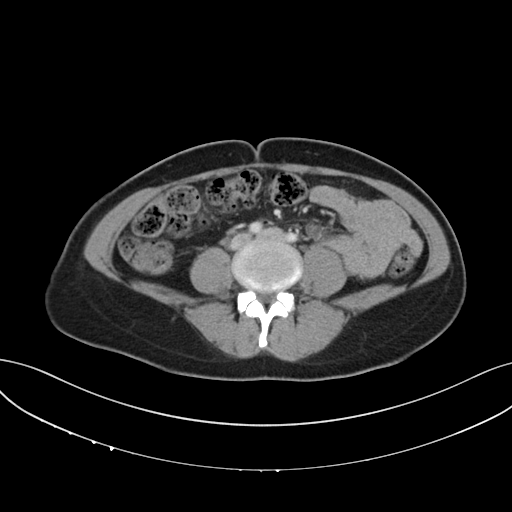
Case:
* modality — multiphase abdominal CT, liver, portal venous phase
* patient — female, age 42